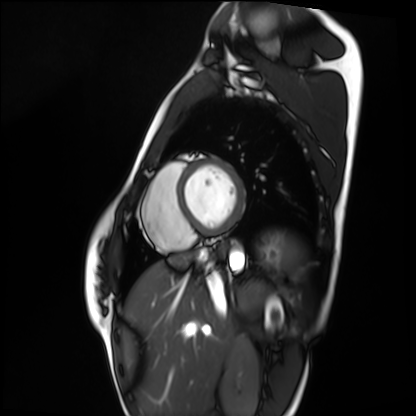
modality = cardiac MRI | subject group = healthy volunteer.